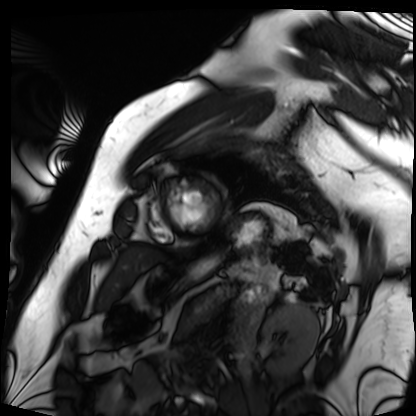
modality=cardiac MRI | subject group=patient.